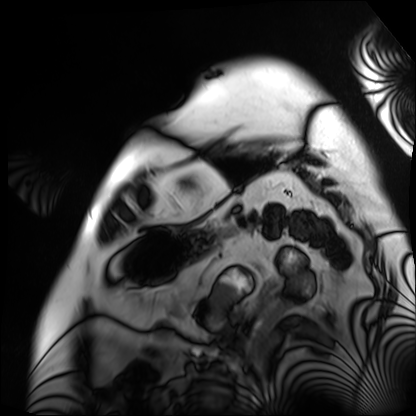
{"modality": "cardiac MRI", "cohort": "patient"}